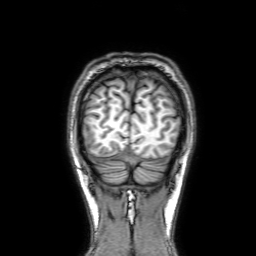
| field | value |
|---|---|
| modality | 3 Tesla brain MRI |
| series | 3D T1-weighted with SENSE |
| study | ring-enhancing brain masses |